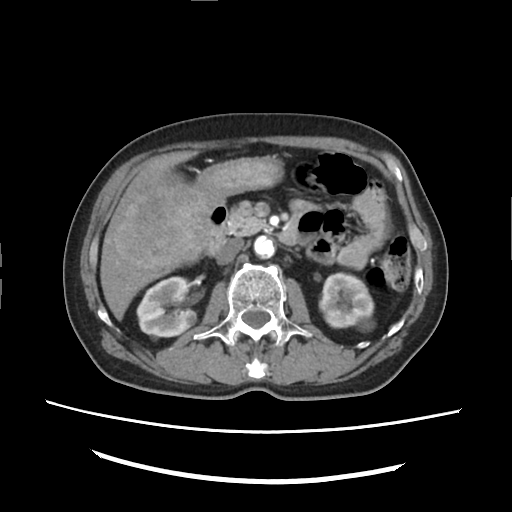
Q: What kind of scan is this?
A: Multiphase abdominal CT, liver, arterial phase.
Q: Patient?
A: Male, age 66.